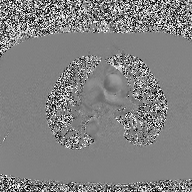
Summary: 2D phase-contrast cine MRI of the ascending aorta, high-resolution GRAPPA acquisition.